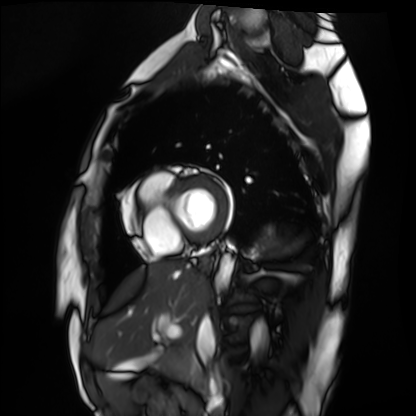
Case:
• modality — cardiac MRI
• subject group — healthy volunteer